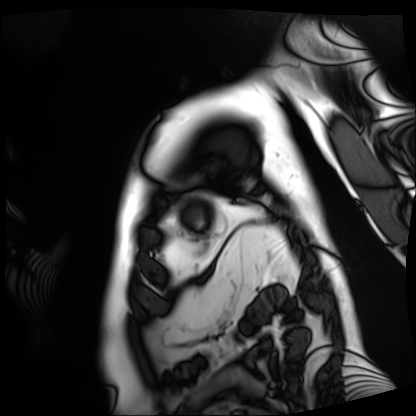
modality — cardiac MRI | subject group — patient.